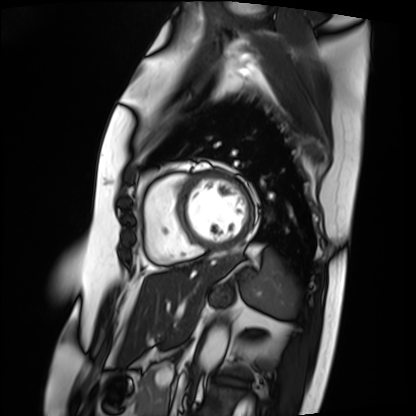
  modality: cardiac MRI
  cohort: patient